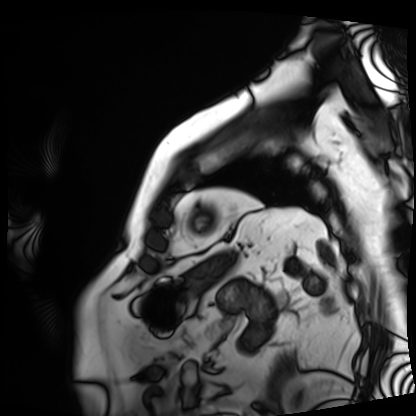
Cardiac MRI. Subject group: patient.